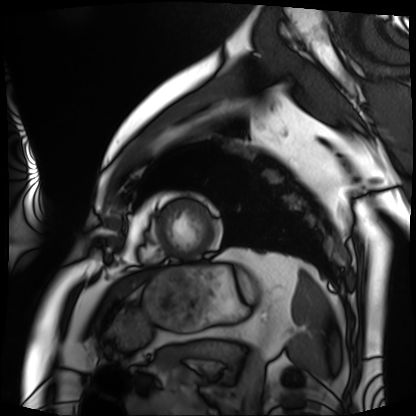
Case summary: Cardiac MRI. Subject group: patient.